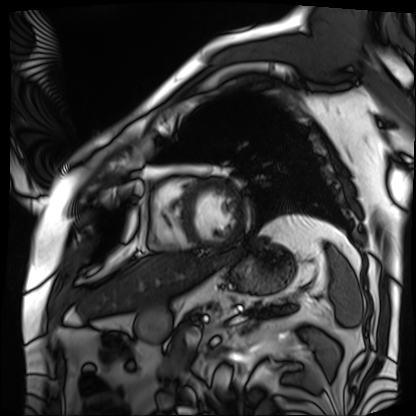
modality: cardiac MRI; subject group: patient.